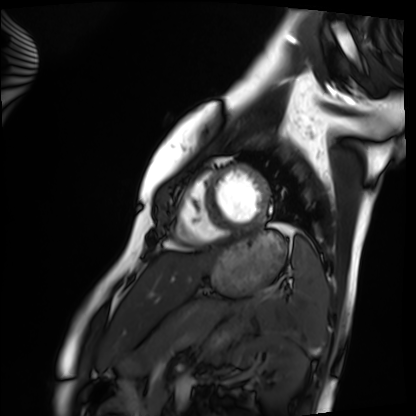
Clinical context: Cardiac MRI. Subject group: healthy volunteer.